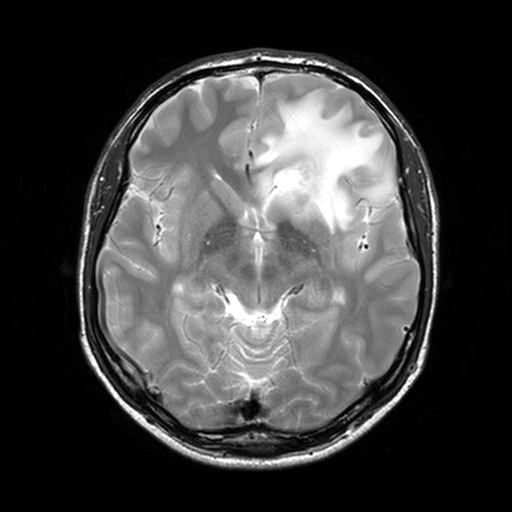
3 Tesla brain MRI. Series: T2-weighted turbo spin echo, 3 mm. Study: ring-enhancing brain masses.